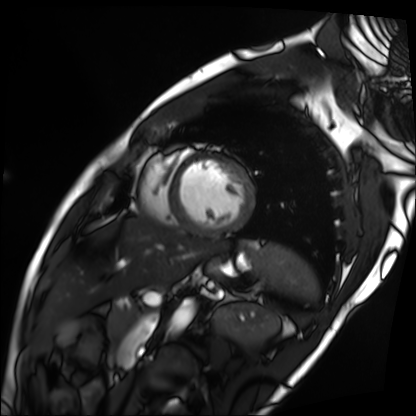
Cardiac MRI. Subject group: patient.